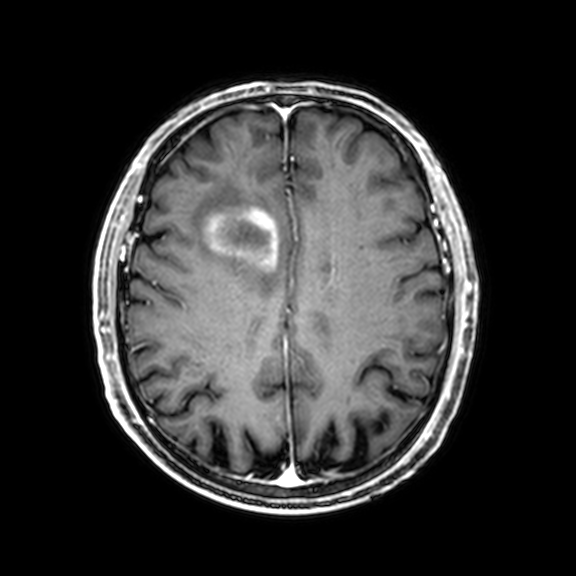
3 Tesla brain MRI.
Series: 3D T1-weighted with CLEAR.
Study: ring-enhancing brain masses.